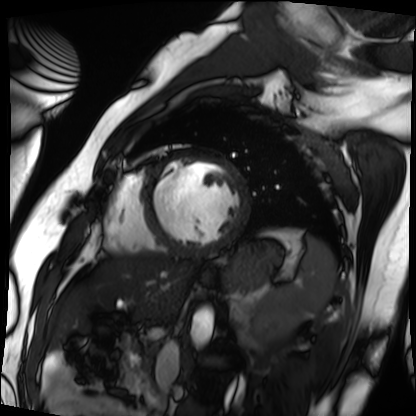
Case:
* modality · cardiac MRI
* subject group · patient